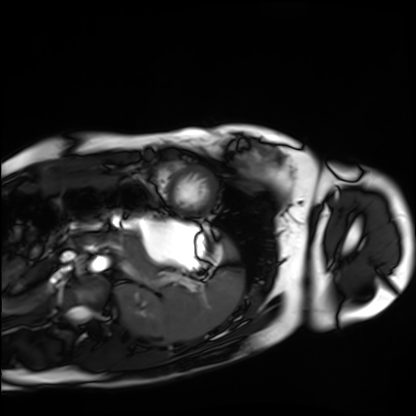
Cardiac MRI. Subject group: healthy volunteer.